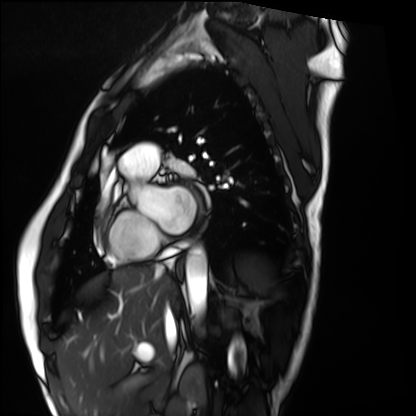
| field | value |
|---|---|
| modality | cardiac MRI |
| subject group | healthy volunteer |